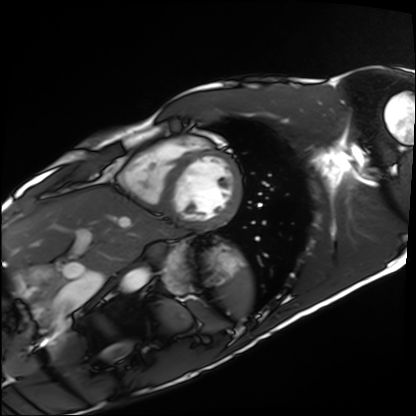
Cardiac MRI. Subject group: healthy volunteer.